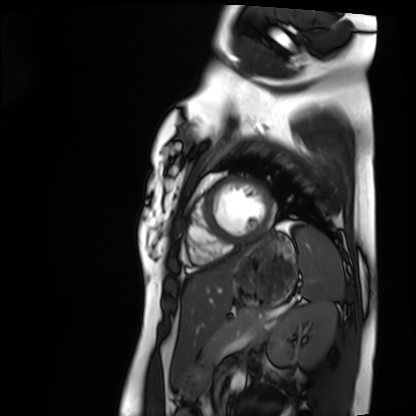
| field | value |
|---|---|
| modality | cardiac MRI |
| subject group | healthy volunteer |